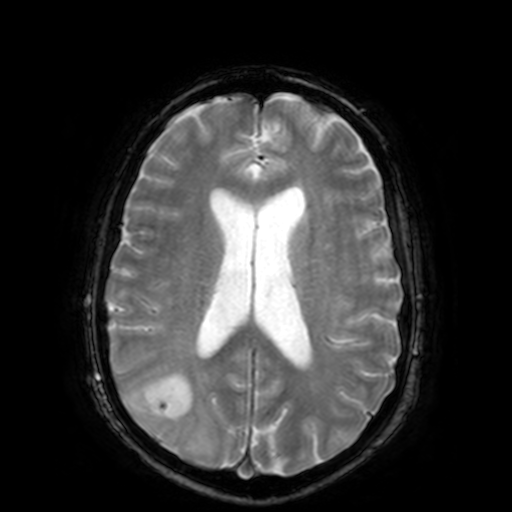
<scan>
  <modality>
    <type>brain MRI</type>
    <field_strength>3T</field_strength>
  </modality>
  <series>T2-weighted fast field echo</series>
  <study_topic>ring-enhancing brain masses</study_topic>
</scan>